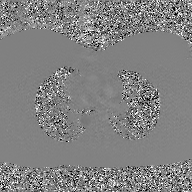
| field | value |
|---|---|
| modality | 2D phase-contrast cine MRI of the ascending aorta, GAN super-resolution reconstruction |